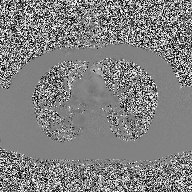
| field | value |
|---|---|
| modality | 2D phase-contrast cine MRI of the ascending aorta |